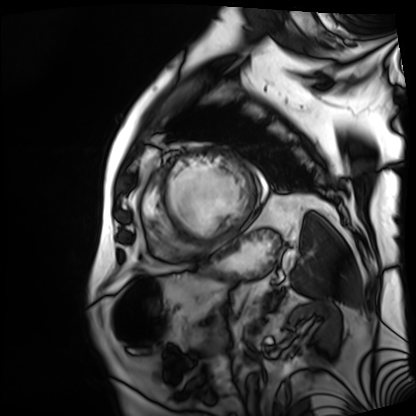
Cardiac MRI. Subject group: patient.